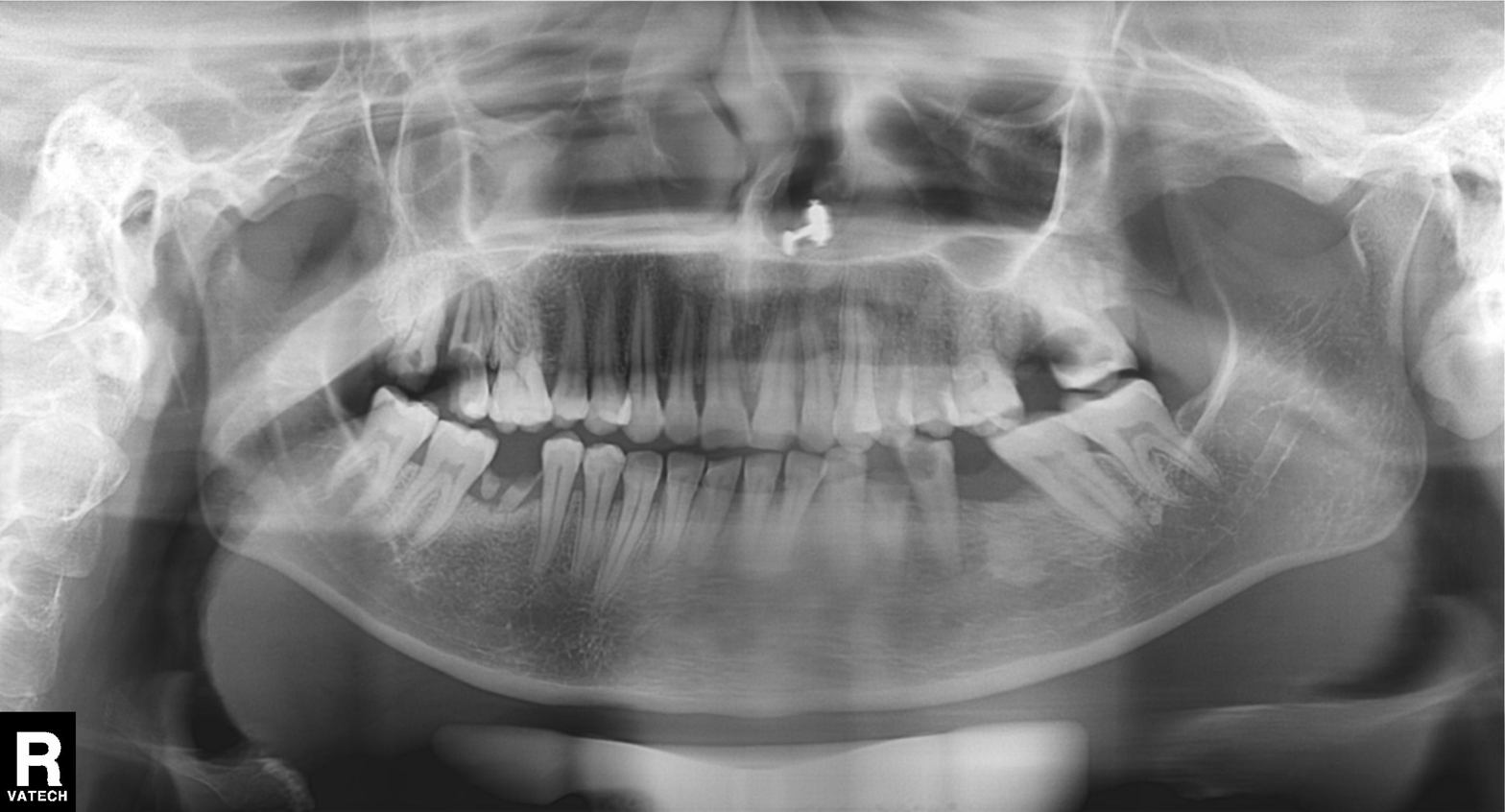
Panoramic dental radiograph (orthopantomogram). Finding: alveolar bone loss.